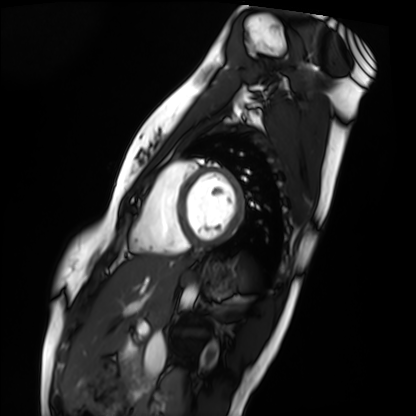
<record>
<modality>cardiac MRI</modality>
<cohort>healthy volunteer</cohort>
</record>